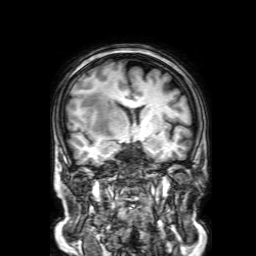
{"modality": {"type": "brain MRI", "field_strength": "3T"}, "series": "3D T1-weighted with SENSE", "study_topic": "ring-enhancing brain masses"}